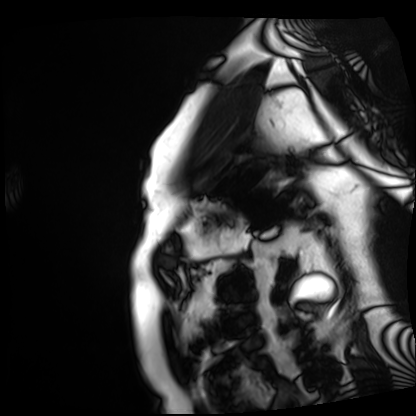
Cardiac MRI.
Subject group: patient.